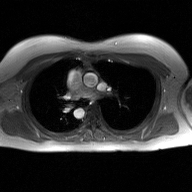
Summary:
2D phase-contrast cine MRI of the ascending aorta, GAN super-resolution reconstruction.